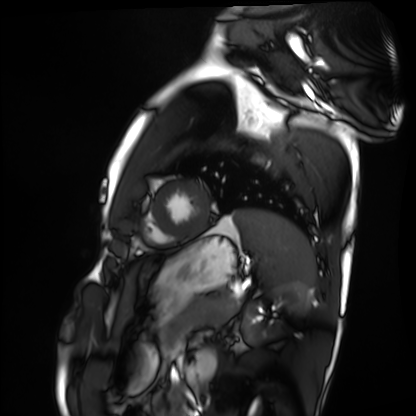
Summary:
Cardiac MRI. Subject group: healthy volunteer.